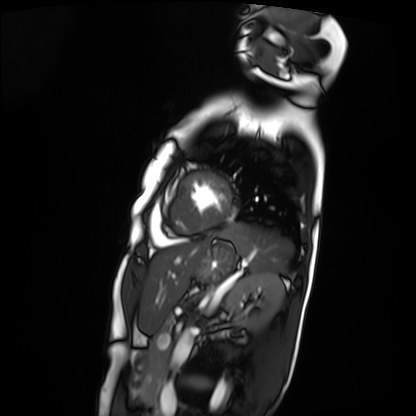
Q: What kind of scan is this?
A: Cardiac MRI.
Subject group: patient.